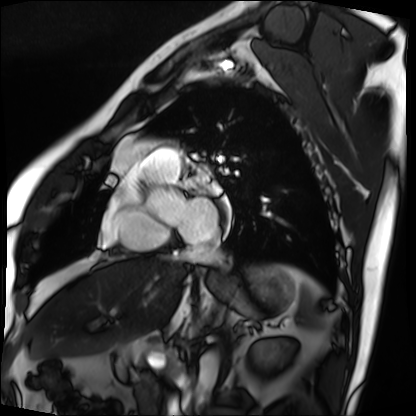
modality — cardiac MRI; subject group — patient.